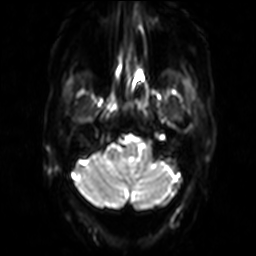
3 Tesla brain MRI.
Series: diffusion-weighted imaging.
Study: ring-enhancing brain masses.